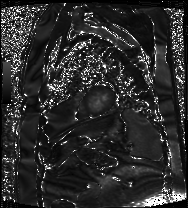
  modality: cardiac MRI
  cohort: patient